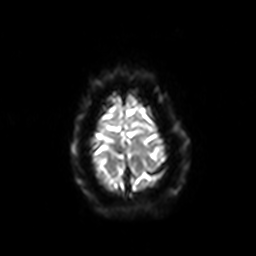
3 Tesla brain MRI. Series: diffusion-weighted imaging with SENSE (WIP). Study: ring-enhancing brain masses.